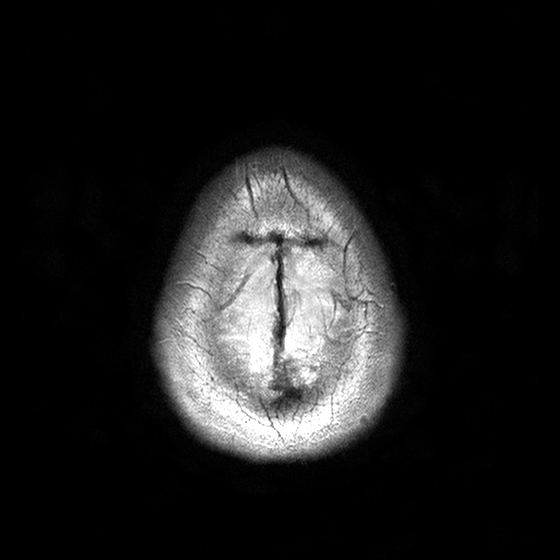
Summary:
3 Tesla brain MRI. Study: ring-enhancing brain masses.